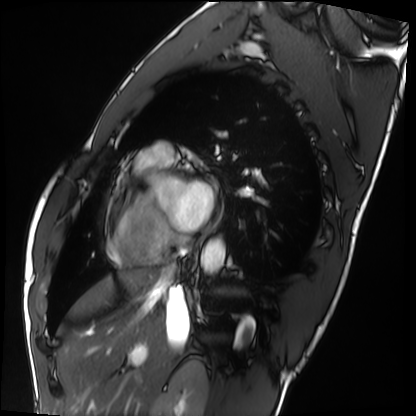
{
  "modality": "cardiac MRI",
  "cohort": "healthy volunteer"
}